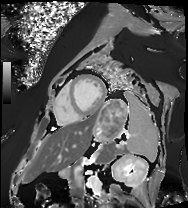
{
  "modality": "cardiac MRI",
  "cohort": "patient"
}